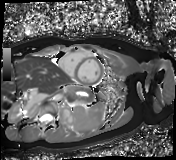
{"modality": "cardiac MR image of the myocardium", "cohort": "healthy volunteer"}